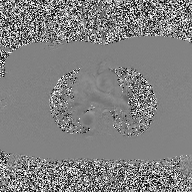
2D phase-contrast cine MRI of the ascending aorta, high-resolution GRAPPA acquisition.